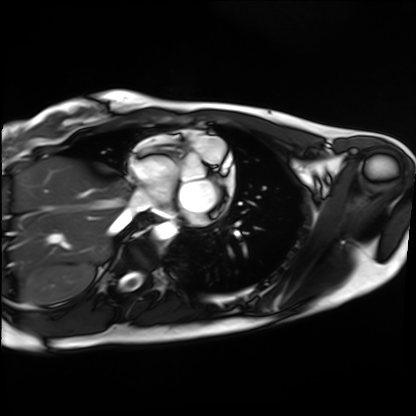
modality = cardiac MRI | subject group = healthy volunteer.